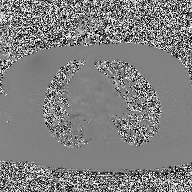
• modality — 2D phase-contrast cine MRI of the ascending aorta